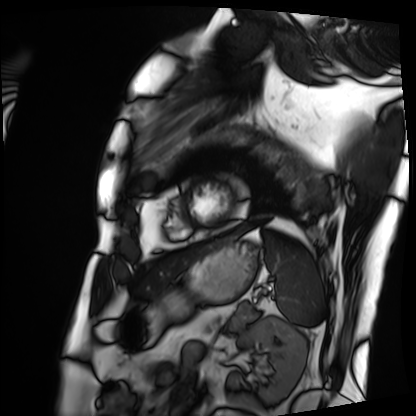
– modality — cardiac MRI
– subject group — patient